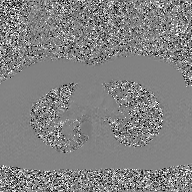
Q: What kind of scan is this?
A: 2D phase-contrast cine MRI of the ascending aorta, GAN super-resolution reconstruction.